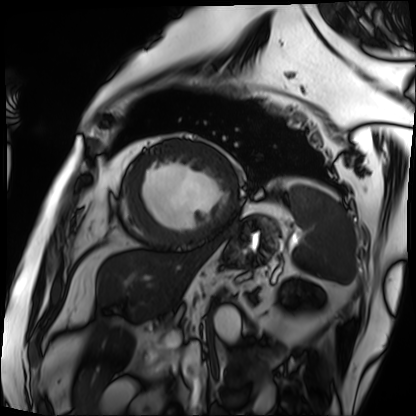
| field | value |
|---|---|
| modality | cardiac MRI |
| subject group | patient |